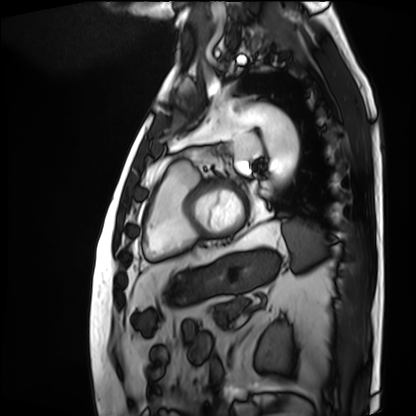
* modality — cardiac MRI
* subject group — patient